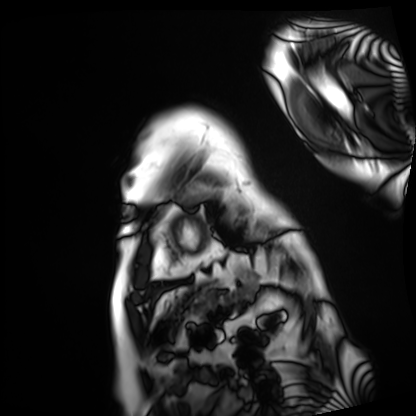
* modality — cardiac MRI
* subject group — patient